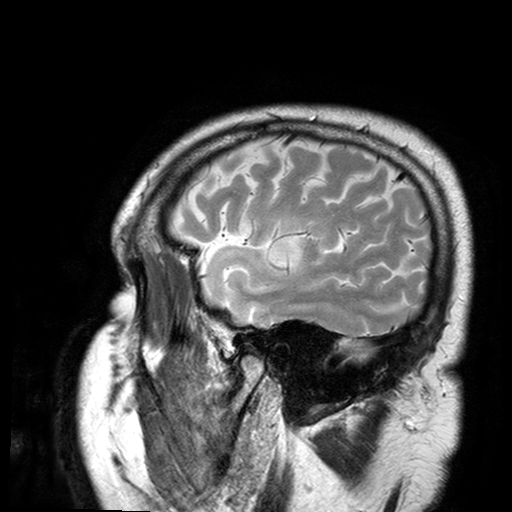
3 Tesla brain MRI. Series: T2-weighted turbo spin echo with SENSE. Study: ring-enhancing brain masses.